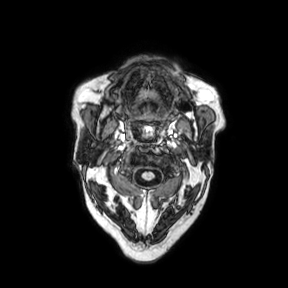
modality — 3 Tesla brain MRI | series — axial | study — ring-enhancing brain masses.